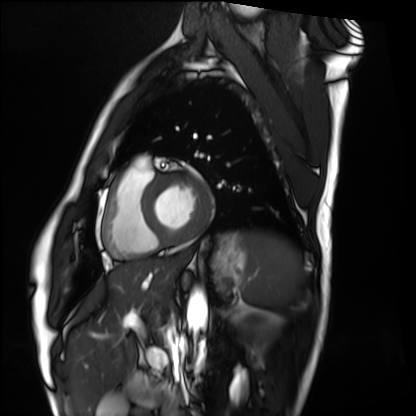
Cardiac MRI. Subject group: healthy volunteer.